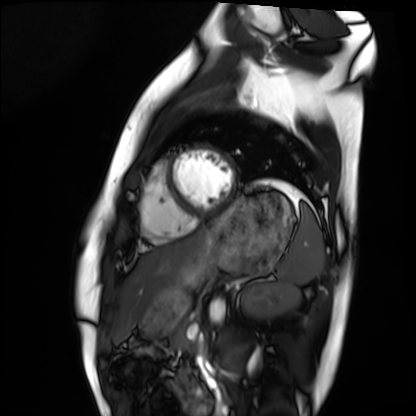
Case summary:
Cardiac MRI. Subject group: healthy volunteer.